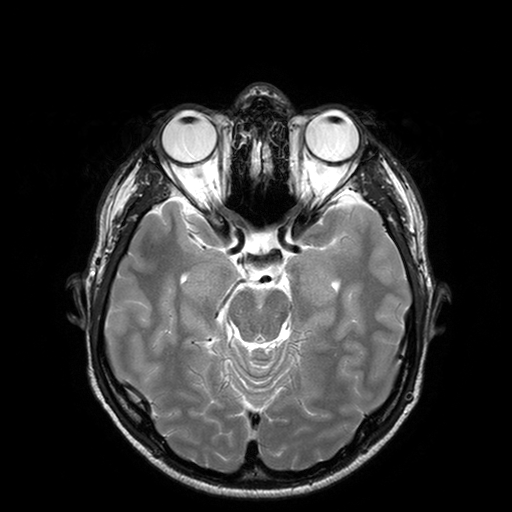
Clinical context:
3 Tesla brain MRI. Series: T2-weighted turbo spin echo with SENSE. Study: ring-enhancing brain masses.